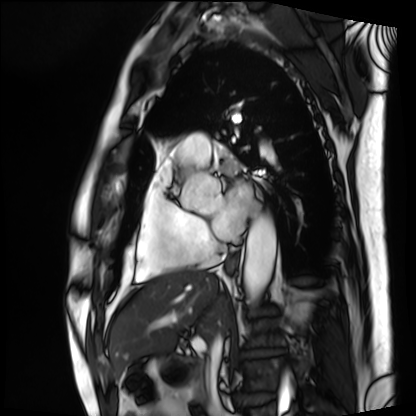
Case:
* modality — cardiac MRI
* subject group — patient